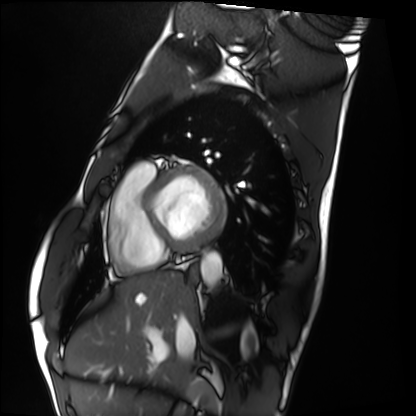
<study>
  <modality>cardiac MRI</modality>
  <cohort>healthy volunteer</cohort>
</study>